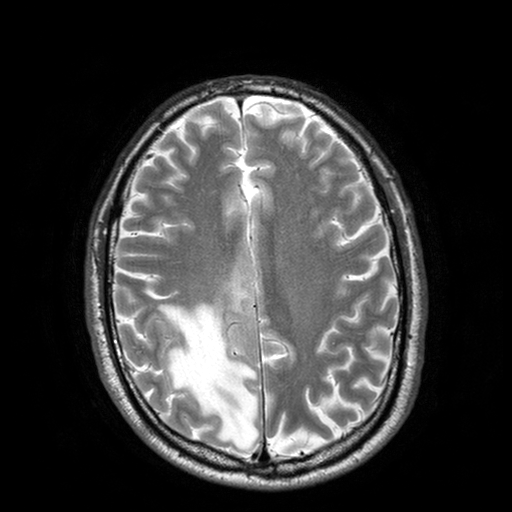
Clinical context: 3 Tesla brain MRI. Series: T2-weighted turbo spin echo with SENSE. Study: ring-enhancing brain masses.